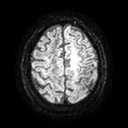
3 Tesla brain MRI.
Series: diffusion tensor imaging (medium iso).
Study: ring-enhancing brain masses.